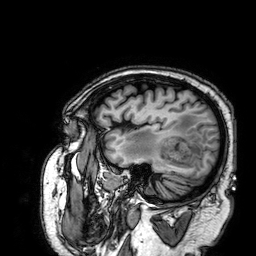
3 Tesla brain MRI.
Series: 3D T1-weighted.
Study: ring-enhancing brain masses.